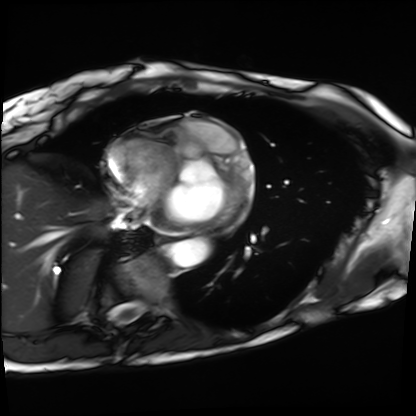
modality = cardiac MRI | subject group = patient.